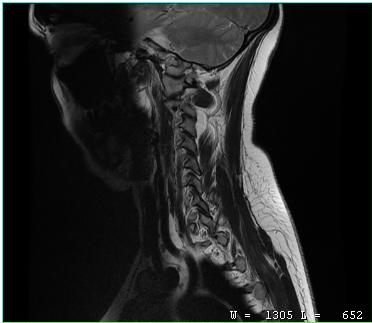
<record>
  <modality>
    <type>cervical spine MRI</type>
  </modality>
  <study_topic>cervical spondylosis</study_topic>
</record>